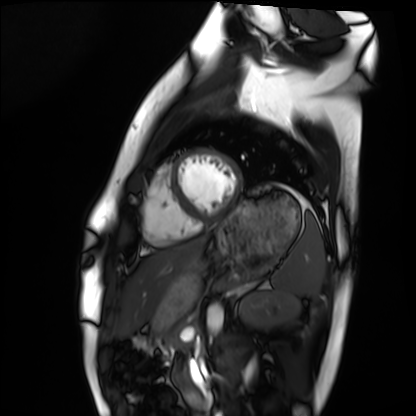
Summary:
Cardiac MRI. Subject group: healthy volunteer.